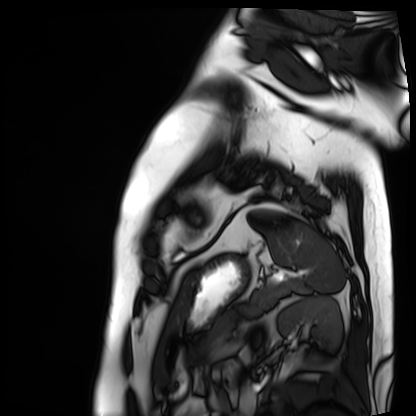
Cardiac MRI.
Subject group: patient.